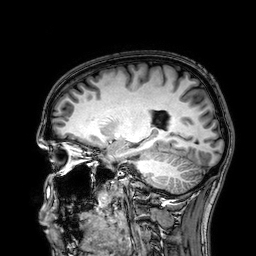
{"modality": {"type": "brain MRI", "field_strength": "3T"}, "series": "3D T1-weighted", "study_topic": "ring-enhancing brain masses"}